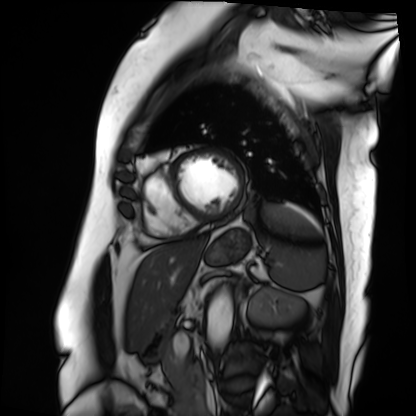
Summary:
Cardiac MRI. Subject group: patient.